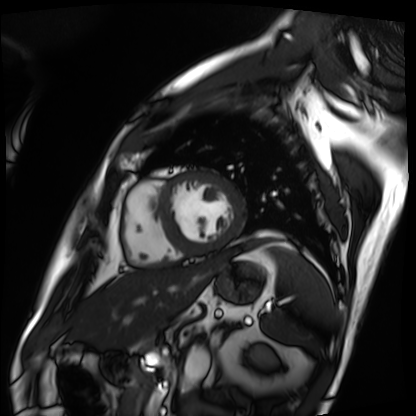
Summary:
Cardiac MRI. Subject group: patient.